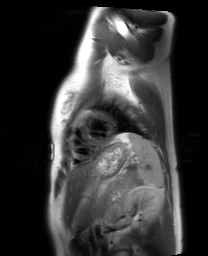
Cardiac MRI. Subject group: healthy volunteer.